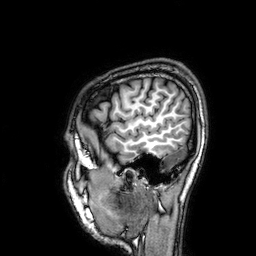
3 Tesla brain MRI. Series: 3D T1-weighted. Study: ring-enhancing brain masses.